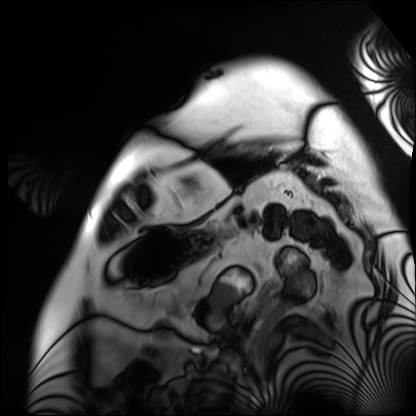
Case summary:
Cardiac MRI. Subject group: patient.